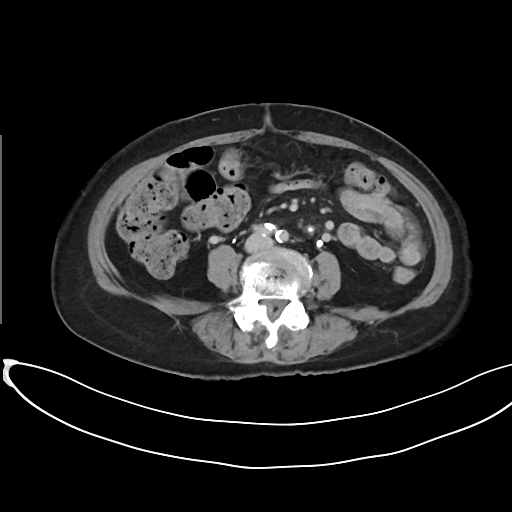
Summary: Multiphase abdominal CT, liver, delayed phase. Patient: female, age 80.